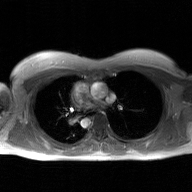
modality = 2D phase-contrast cine MRI of the ascending aorta, GAN super-resolution reconstruction.